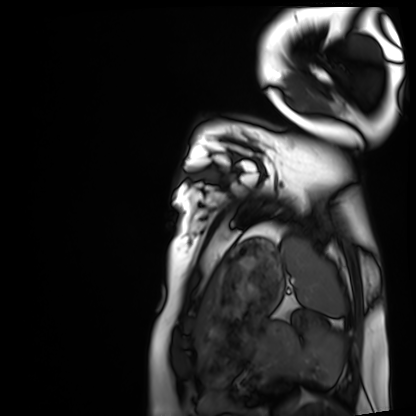
Cardiac MRI.
Subject group: healthy volunteer.